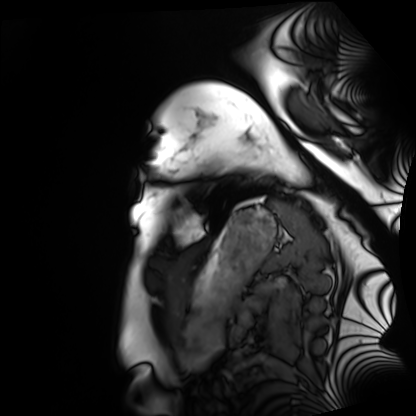
modality: cardiac MRI | subject group: healthy volunteer.